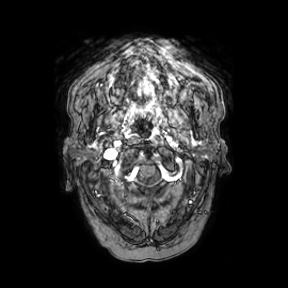
3 Tesla brain MRI.
Series: axial.
Study: ring-enhancing brain masses.